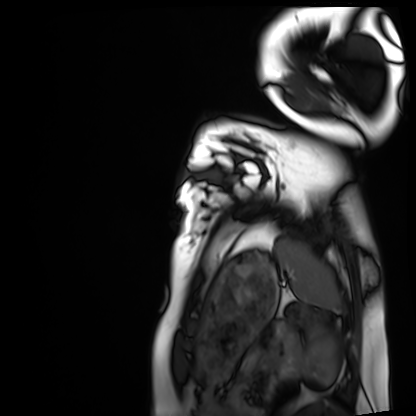
Cardiac MRI. Subject group: healthy volunteer.